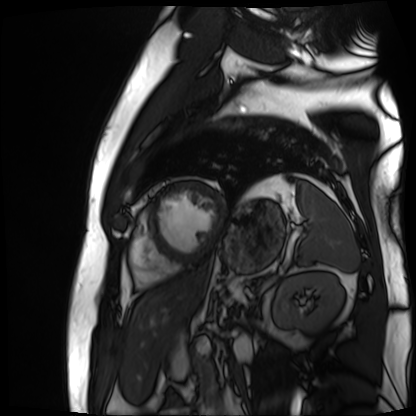
Summary:
Cardiac MR image of the myocardium. Subject cohort: cardiac patient.